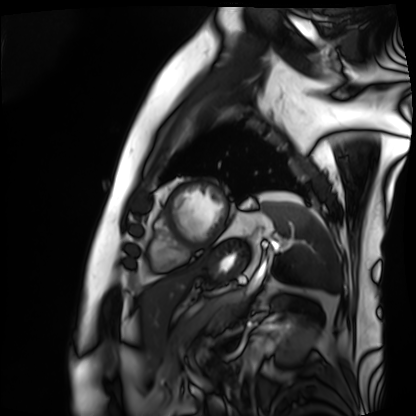
Cardiac MRI. Subject group: patient.